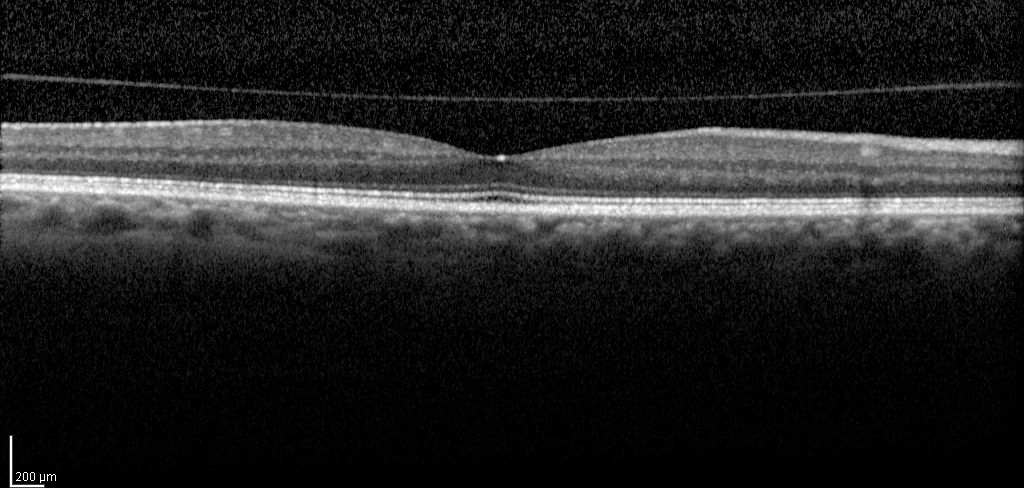
Clinical context: Spectral-domain optical coherence tomography (SD-OCT) of the macula. Subject: male, age 59, right eye. Cohort: non-diabetic control. ETDRS-grid retinal thickness (μm): central 263, inner temporal 315, inner nasal 325, inner superior 327, inner inferior 325, outer temporal 275, outer nasal 298, outer superior 291.